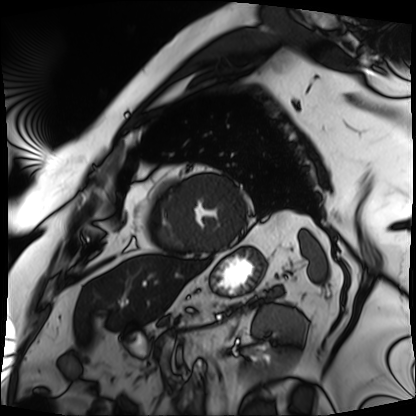
| field | value |
|---|---|
| modality | cardiac MRI |
| subject group | patient |